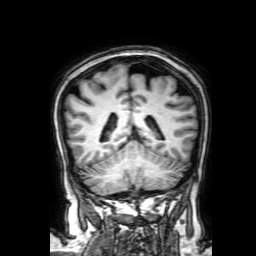
- modality · 3 Tesla brain MRI
- series · 3D T1-weighted with SENSE
- study · ring-enhancing brain masses